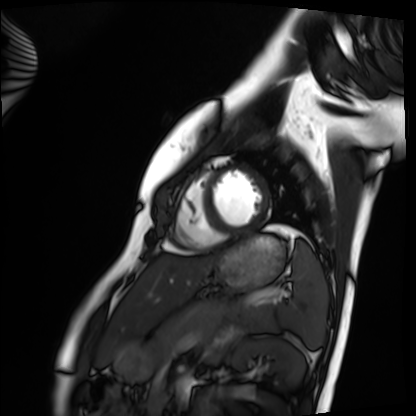
Cardiac MRI.
Subject group: healthy volunteer.